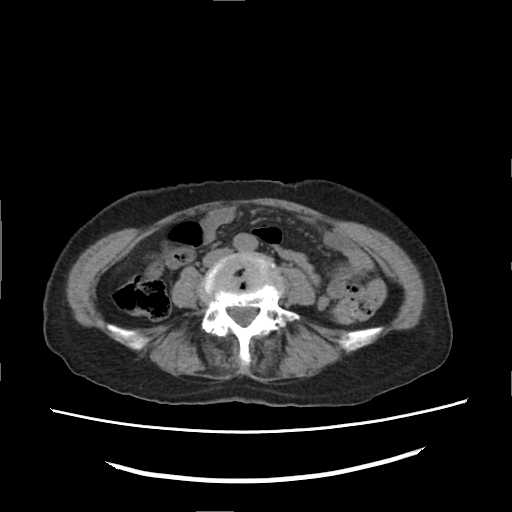
Multiphase abdominal CT, liver, non-contrast phase. Patient: female, age 70.